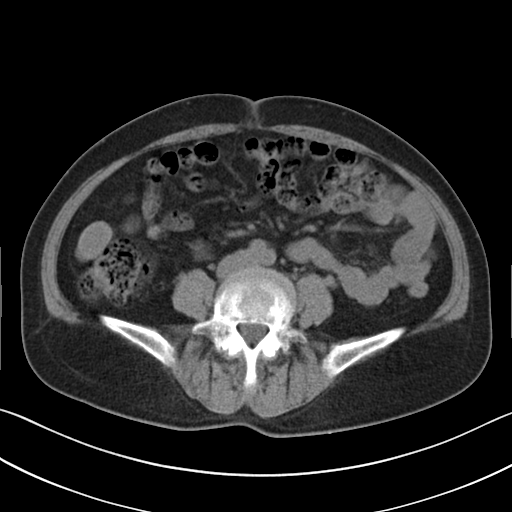
modality = multiphase abdominal CT, liver, non-contrast phase
patient = female, age 56